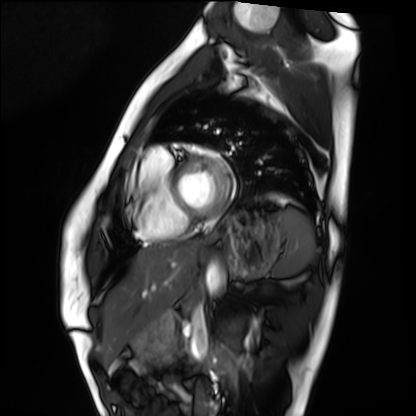
modality = cardiac MRI
subject group = healthy volunteer